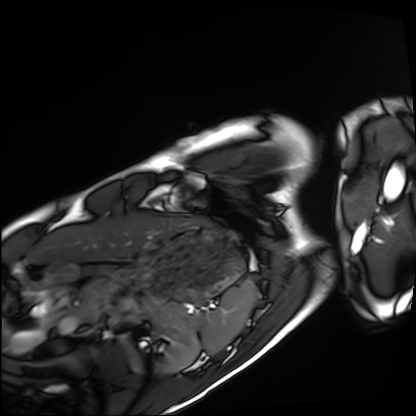
Clinical context: Cardiac MRI. Subject group: healthy volunteer.